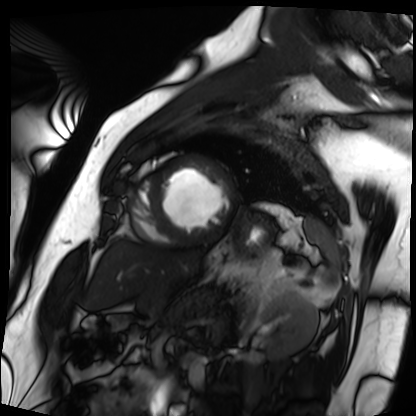
- modality · cardiac MRI
- subject group · patient